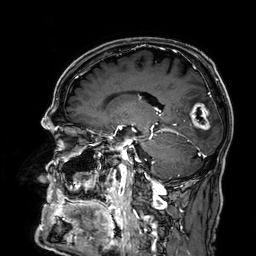
modality = 3 Tesla brain MRI; series = 3D T1-weighted; study = ring-enhancing brain masses.